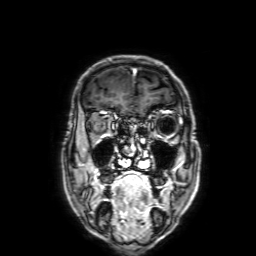
3 Tesla brain MRI. Series: 3D T1-weighted with SENSE. Study: ring-enhancing brain masses.